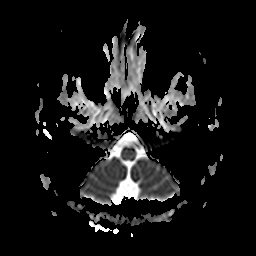
3 Tesla brain MRI.
Series: apparent diffusion coefficient (ADC) map.
Study: ring-enhancing brain masses.